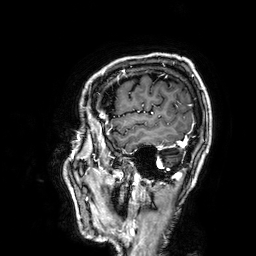
<case>
<modality>
  <type>brain MRI</type>
  <field_strength>3T</field_strength>
</modality>
<series>3D T1-weighted</series>
<study_topic>ring-enhancing brain masses</study_topic>
</case>